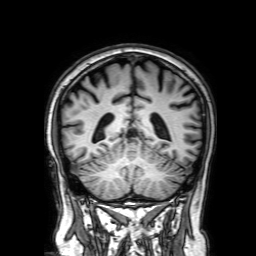
Summary: 3 Tesla brain MRI. Series: 3D T1-weighted with SENSE. Study: ring-enhancing brain masses.